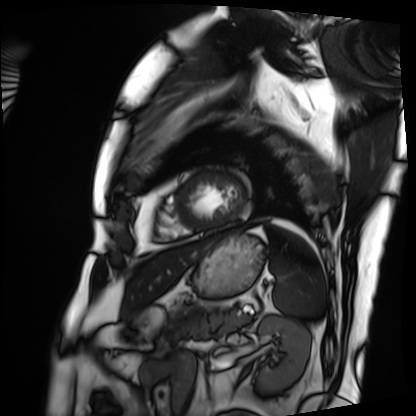
Cardiac MRI. Subject group: patient.